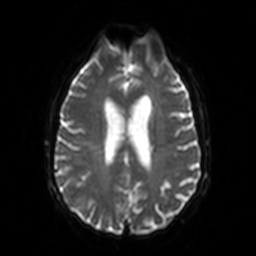
Summary:
3 Tesla brain MRI. Series: diffusion-weighted imaging. Study: ring-enhancing brain masses.